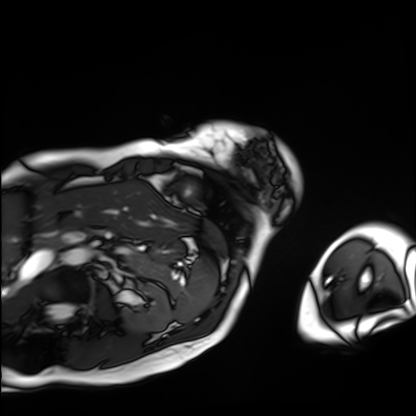
Case:
– modality · cardiac MRI
– subject group · patient